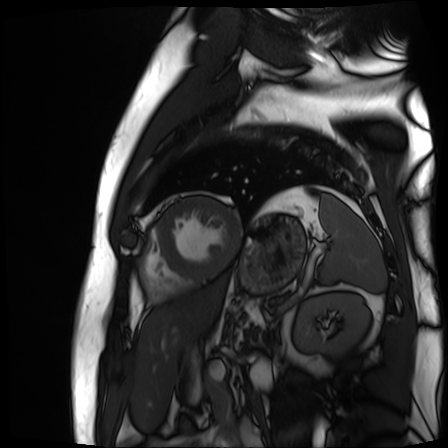
– modality · cardiac MR image of the myocardium
– subject cohort · cardiac patient